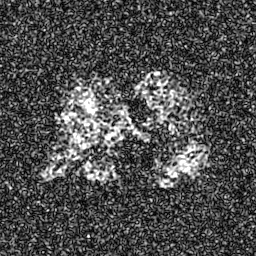
Case:
- modality: hyperpolarized 129Xe ventilation MRI of the lungs
- SNR level: 8 of 8 (the deposit holds this scan as its native image and as seven SNR-degraded versions)